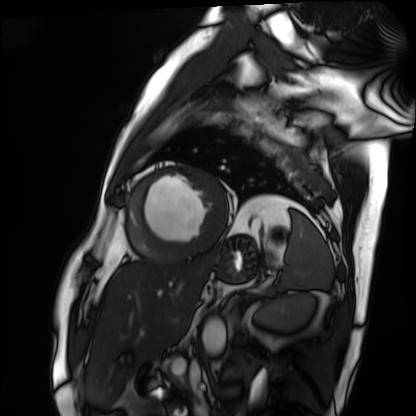
Q: What kind of scan is this?
A: Cardiac MRI.
Subject group: patient.